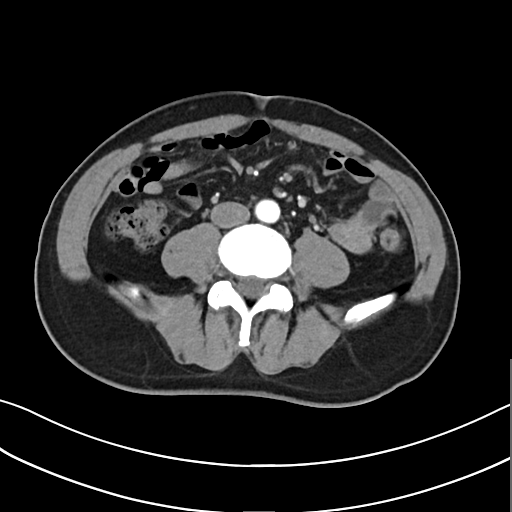
modality: multiphase abdominal CT, liver, arterial phase; patient: male, age 57; history: cirrhosis, viral hepatitis.